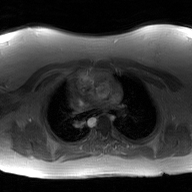
Summary:
2D phase-contrast cine MRI of the ascending aorta, GAN super-resolution reconstruction.